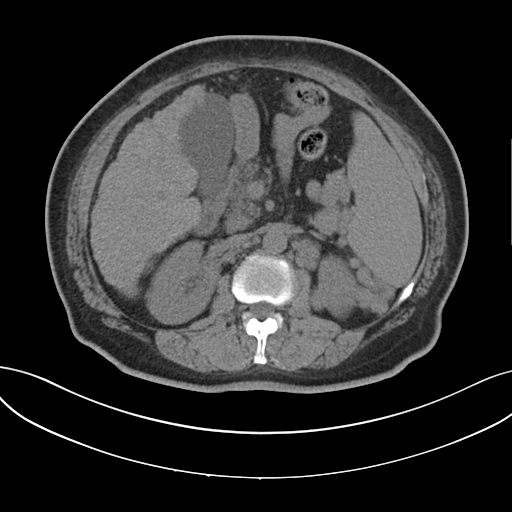
modality = multiphase abdominal CT, liver, non-contrast phase